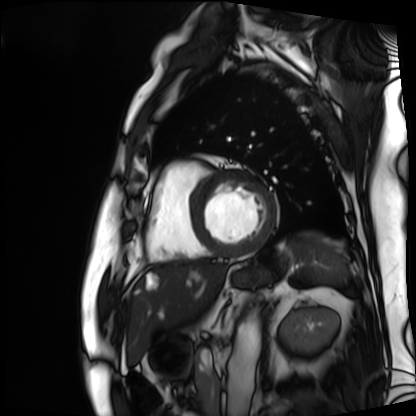
| field | value |
|---|---|
| modality | cardiac MRI |
| subject group | patient |